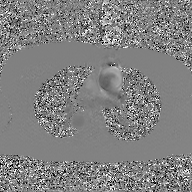
Clinical context:
2D phase-contrast cine MRI of the ascending aorta, GAN super-resolution reconstruction.